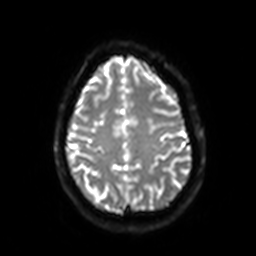
3 Tesla brain MRI.
Series: diffusion-weighted imaging with SENSE (WIP).
Study: ring-enhancing brain masses.